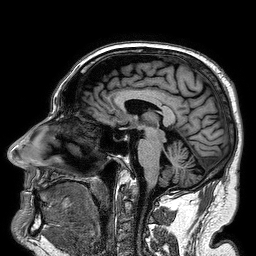
3 Tesla brain MRI. Series: 3D T1-weighted turbo field echo. Study: ring-enhancing brain masses.